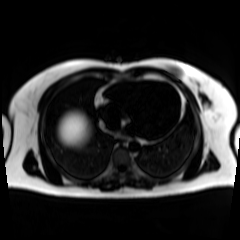
{"modality": "chemical-shift-encoded cardiac MRI"}